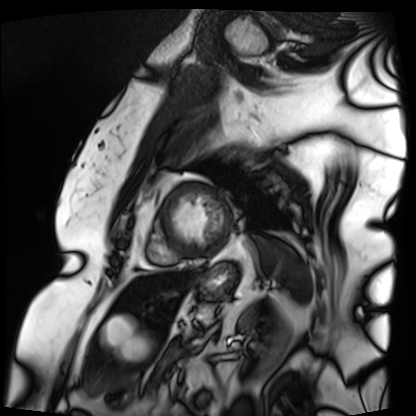
Cardiac MRI. Subject group: patient.